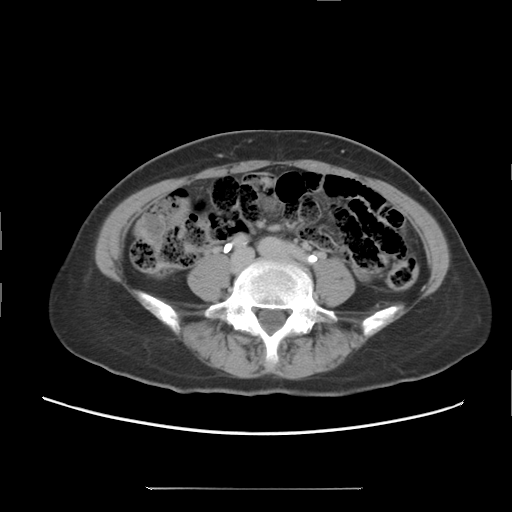
  modality:
    type: multiphase abdominal CT
    region: liver
    phase: delayed